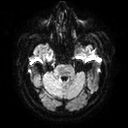
3 Tesla brain MRI.
Series: diffusion tensor imaging (medium iso).
Study: ring-enhancing brain masses.